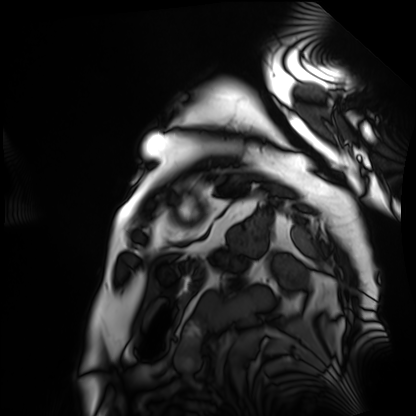
modality = cardiac MRI
subject group = patient